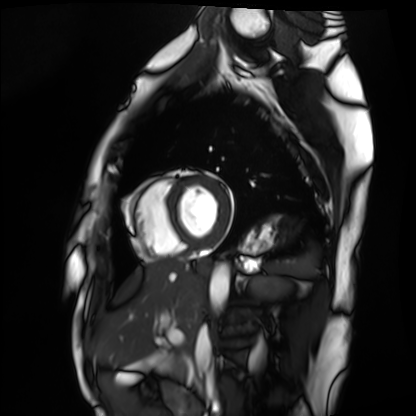
Clinical context: Cardiac MRI. Subject group: healthy volunteer.